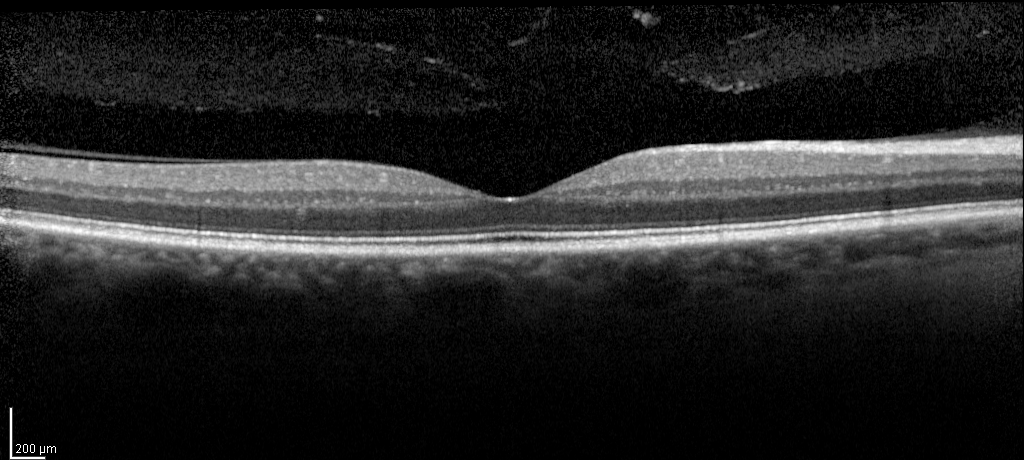
Spectral-domain optical coherence tomography (SD-OCT) of the macula. Cohort: diabetic subject.